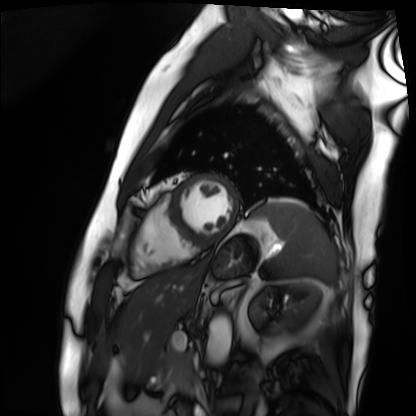
Cardiac MRI.
Subject group: patient.